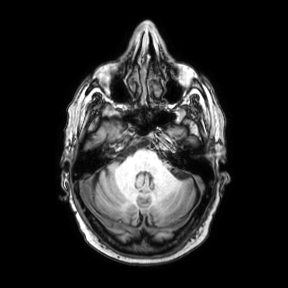
• modality · 3 Tesla brain MRI
• series · axial
• study · ring-enhancing brain masses